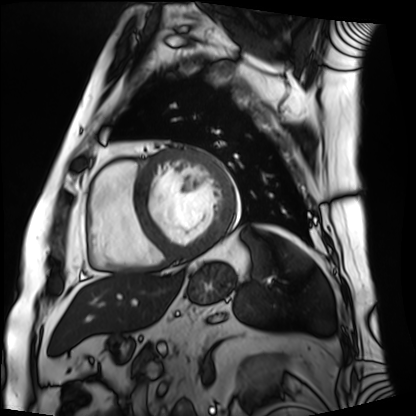
Cardiac MRI.
Subject group: patient.